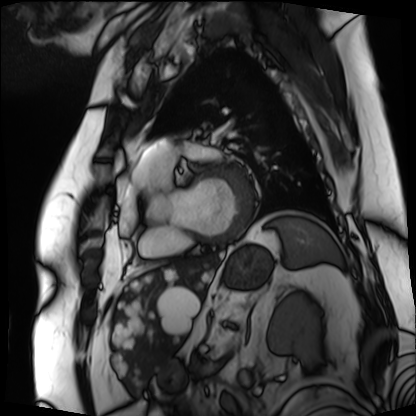
– modality · cardiac MRI
– subject group · patient